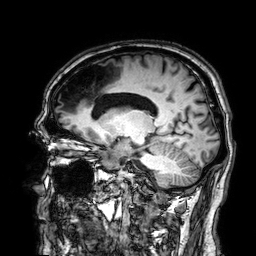
Clinical context:
3 Tesla brain MRI. Series: 3D T1-weighted. Study: ring-enhancing brain masses.